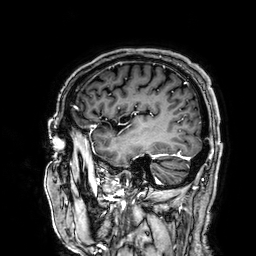
  modality:
    type: brain MRI
    field_strength: 3T
  series: 3D T1-weighted
  study_topic: ring-enhancing brain masses